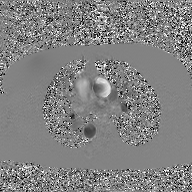
modality:
  type: 2D phase-contrast cine MRI
  region: ascending aorta
  reconstruction: GAN super-resolution reconstruction